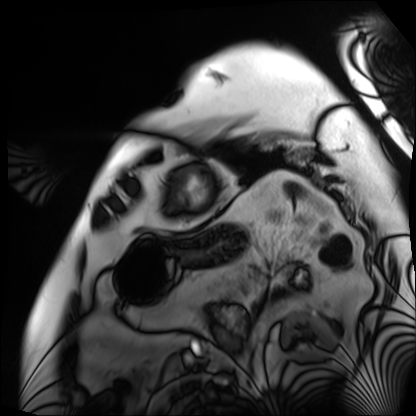
Summary: Cardiac MRI. Subject group: patient.